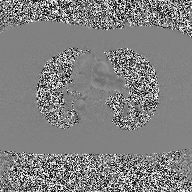
2D phase-contrast cine MRI of the ascending aorta, high-resolution GRAPPA acquisition.